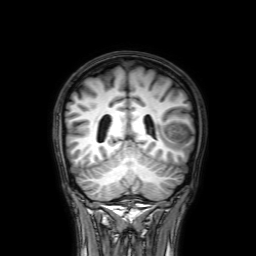
{
  "modality": {
    "type": "brain MRI",
    "field_strength": "3T"
  },
  "series": "3D T1-weighted with SENSE",
  "study_topic": "ring-enhancing brain masses"
}